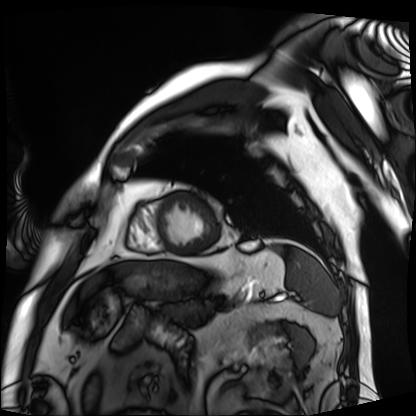
Cardiac MRI. Subject group: patient.